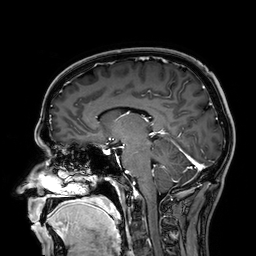
modality: 3 Tesla brain MRI; series: 3D T1-weighted; study: ring-enhancing brain masses.